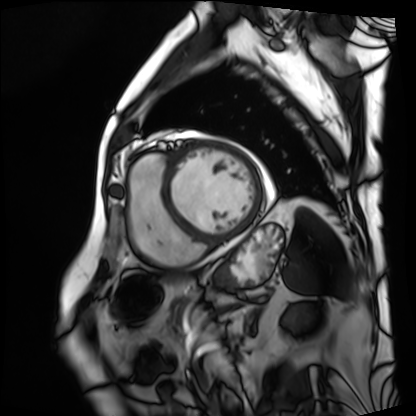
Cardiac MRI. Subject group: patient.